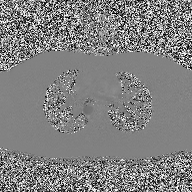
Q: What kind of scan is this?
A: 2D phase-contrast cine MRI of the ascending aorta.